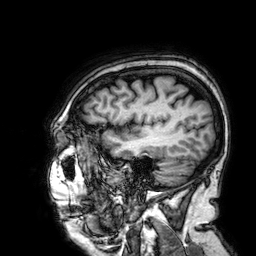
3 Tesla brain MRI. Series: 3D T1-weighted. Study: ring-enhancing brain masses.